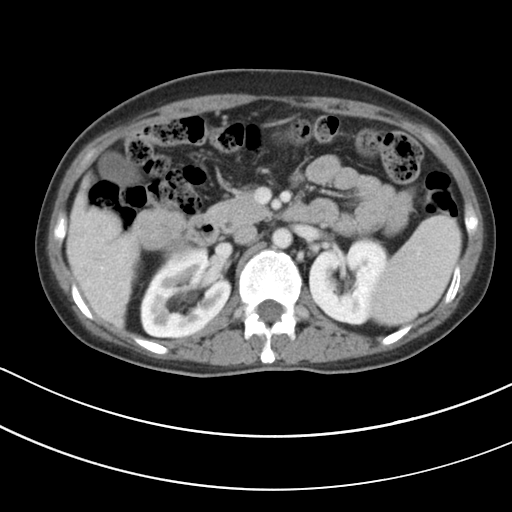
Clinical context: Multiphase abdominal CT, liver, portal venous phase. Patient: female, age 42. History: cirrhosis.